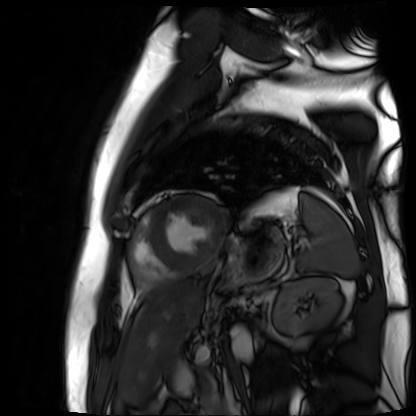
Q: What kind of scan is this?
A: Cardiac MR image of the myocardium.
Subject cohort: cardiac patient.